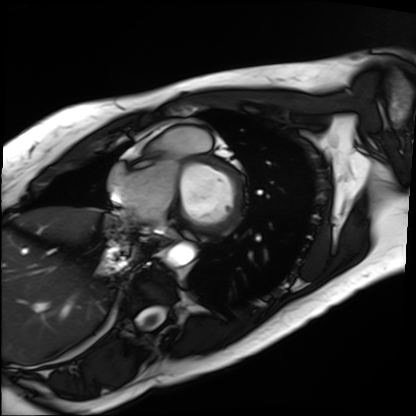
{"modality": "cardiac MRI", "cohort": "patient"}